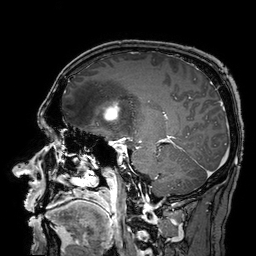
3 Tesla brain MRI.
Series: 3D T1-weighted turbo field echo with SENSE.
Study: ring-enhancing brain masses.